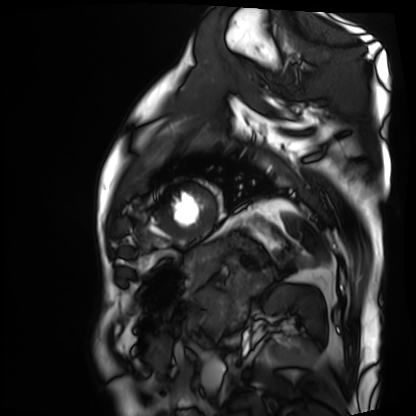
Case summary: Cardiac MRI. Subject group: patient.